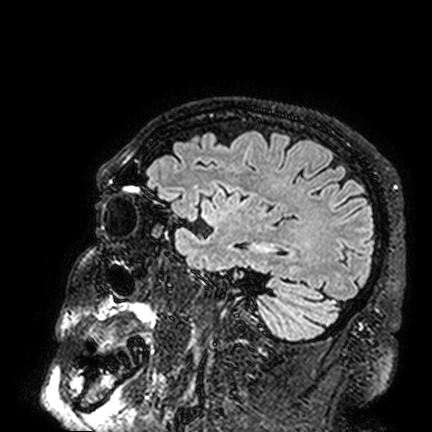
Q: What kind of scan is this?
A: 3 Tesla brain MRI.
Q: Series?
A: FLAIR VISTA.
Study: ring-enhancing brain masses.